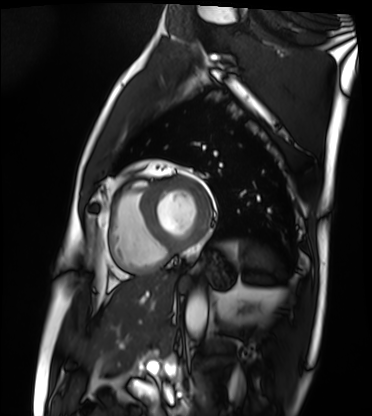
Cardiac MRI. Subject group: patient.